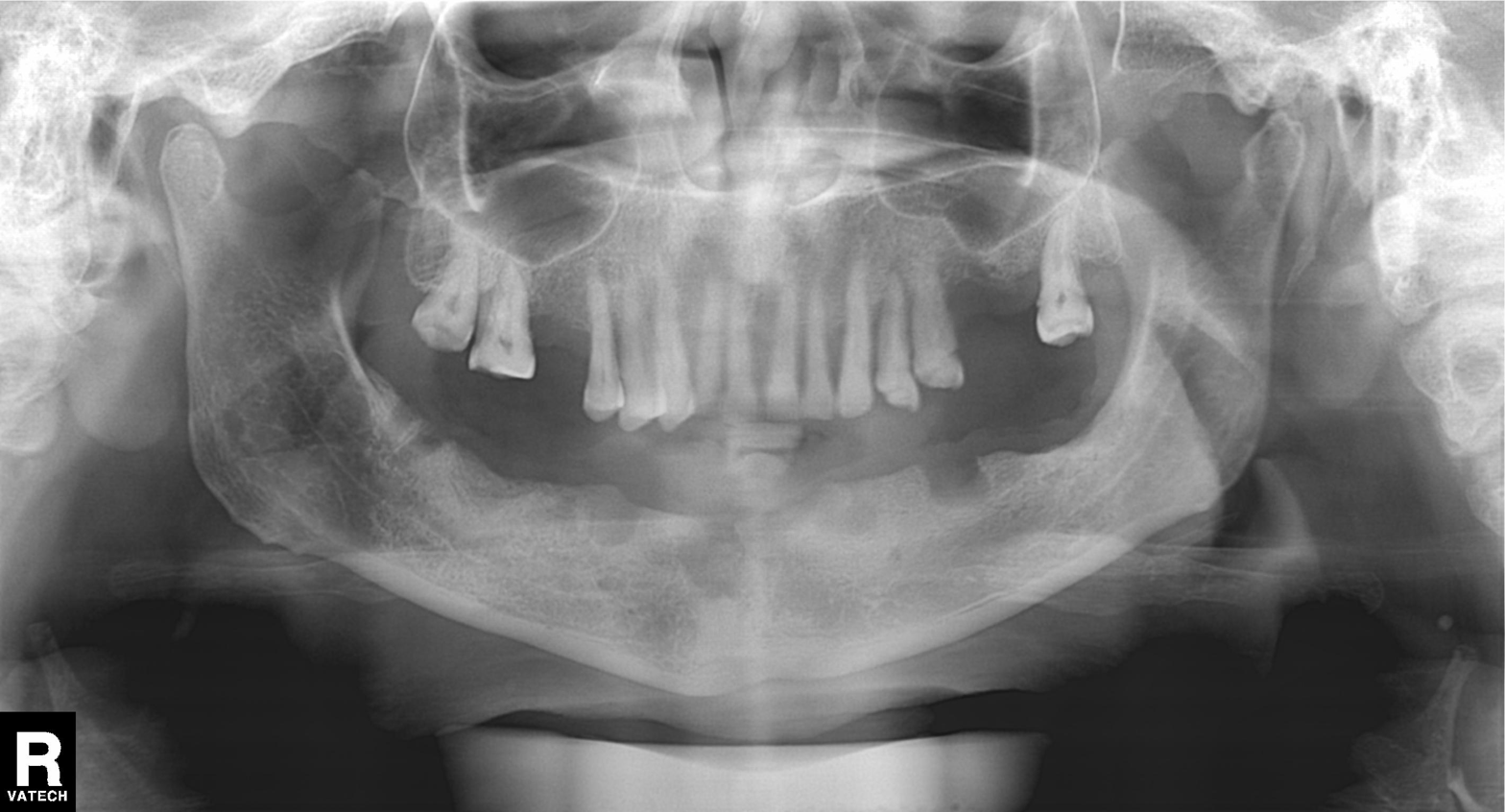
{"modality": "panoramic dental radiograph (orthopantomogram)", "finding": "tooth impaction"}